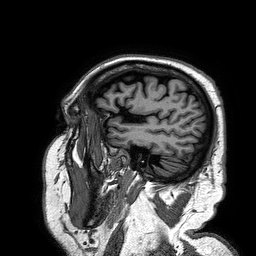
Summary:
3 Tesla brain MRI. Series: 3D T1-weighted turbo field echo. Study: ring-enhancing brain masses.